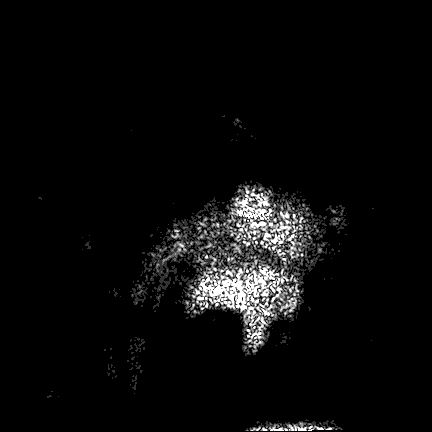
Clinical context:
3 Tesla brain MRI. Series: FLAIR VISTA. Study: ring-enhancing brain masses.